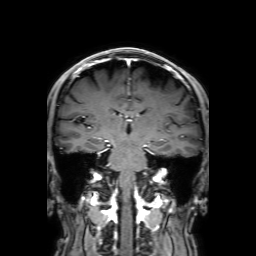
Clinical context:
3 Tesla brain MRI. Series: 3D T1-weighted with SENSE. Study: ring-enhancing brain masses.